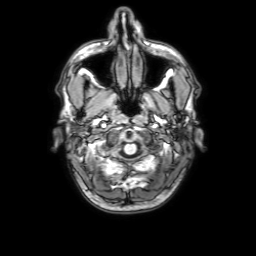
| field | value |
|---|---|
| modality | 3 Tesla brain MRI |
| series | 3D T1-weighted with SENSE |
| study | ring-enhancing brain masses |